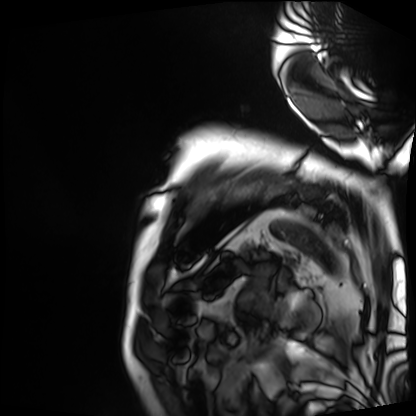
Q: What kind of scan is this?
A: Cardiac MRI.
Subject group: patient.